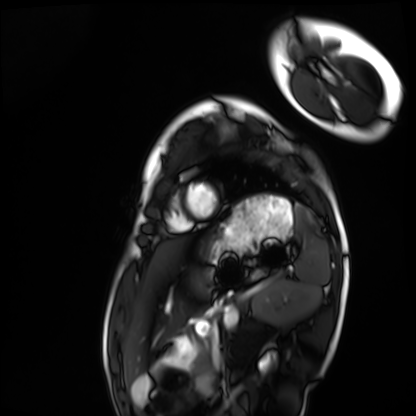
modality: cardiac MRI; subject group: healthy volunteer.